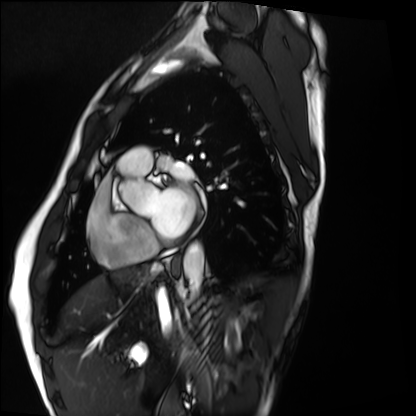
modality: cardiac MRI | subject group: healthy volunteer.